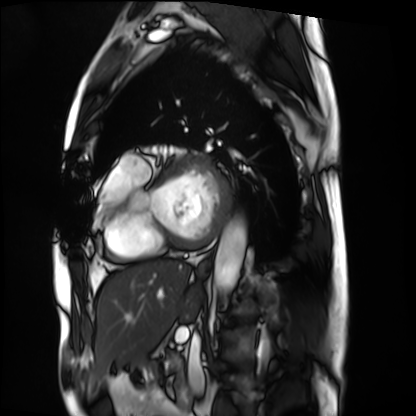
Cardiac MRI. Subject group: patient.